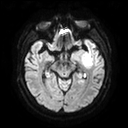
3 Tesla brain MRI. Series: diffusion tensor imaging (medium iso). Study: ring-enhancing brain masses.